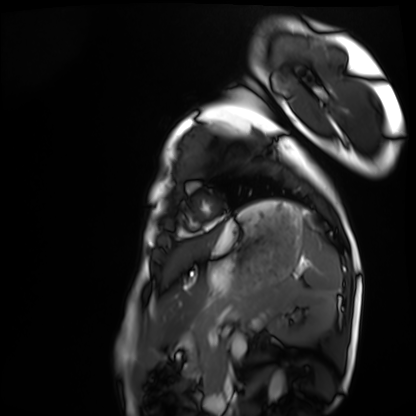
Case summary: Cardiac MRI. Subject group: healthy volunteer.